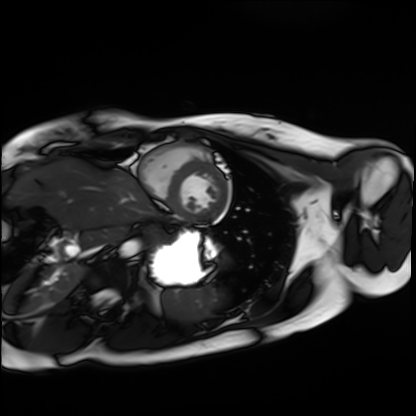
modality: cardiac MRI
subject group: healthy volunteer